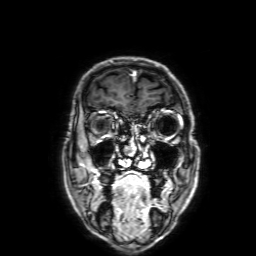
3 Tesla brain MRI. Series: 3D T1-weighted with SENSE. Study: ring-enhancing brain masses.